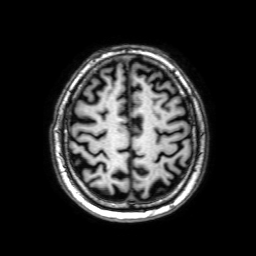
  modality:
    type: brain MRI
    field_strength: 3T
  series: 3D T1-weighted with SENSE
  study_topic: ring-enhancing brain masses